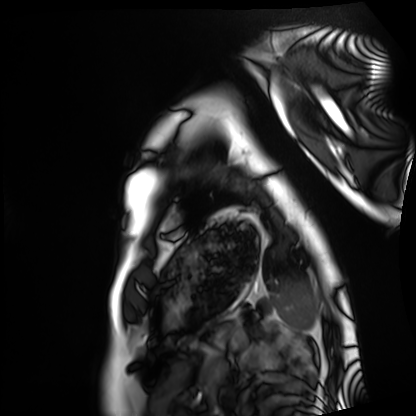
Cardiac MRI. Subject group: healthy volunteer.